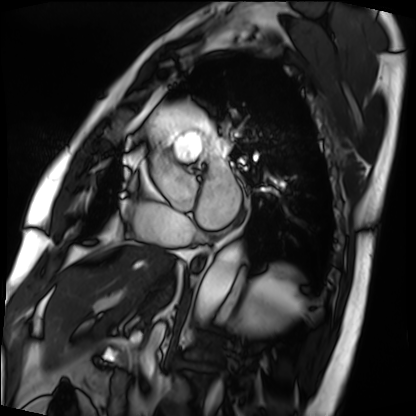
Case:
- modality — cardiac MRI
- subject group — patient